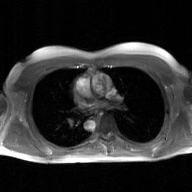
2D phase-contrast cine MRI of the ascending aorta, GAN super-resolution reconstruction.